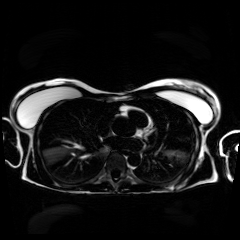
modality: chemical-shift-encoded cardiac MRI.